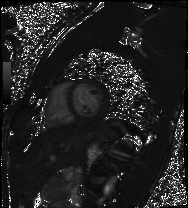
Clinical context:
Cardiac MRI. Subject group: healthy volunteer.